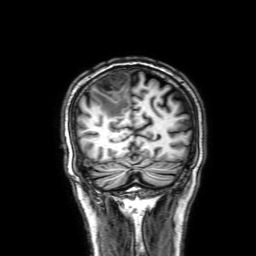
3 Tesla brain MRI. Series: 3D T1-weighted with SENSE. Study: ring-enhancing brain masses.